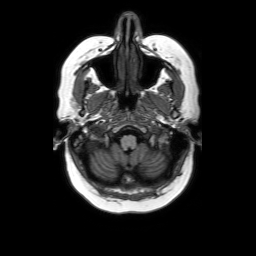
<record>
<modality>
  <type>brain MRI</type>
  <field_strength>3T</field_strength>
</modality>
<series>axial without contrast</series>
<study_topic>ring-enhancing brain masses</study_topic>
</record>